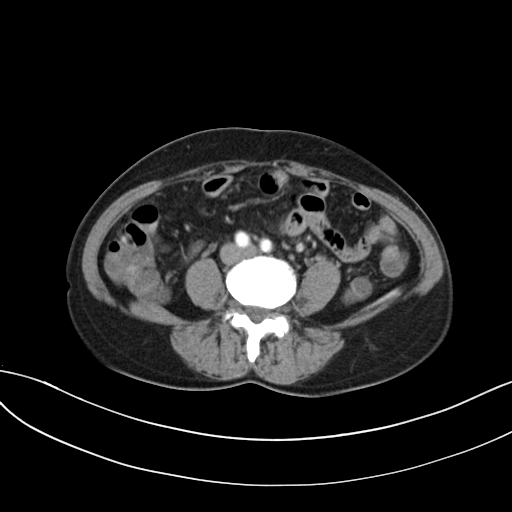
Multiphase abdominal CT, liver, arterial phase. Patient: female, age 54.